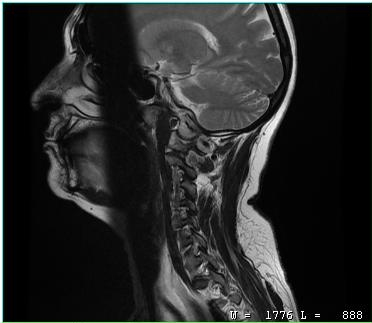
MRI of the cervical spine. Study: cervical spondylosis.